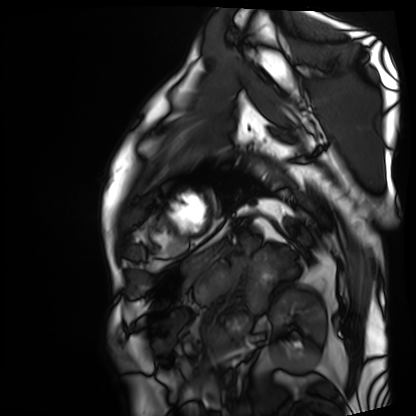
{"modality": "cardiac MRI", "cohort": "patient"}